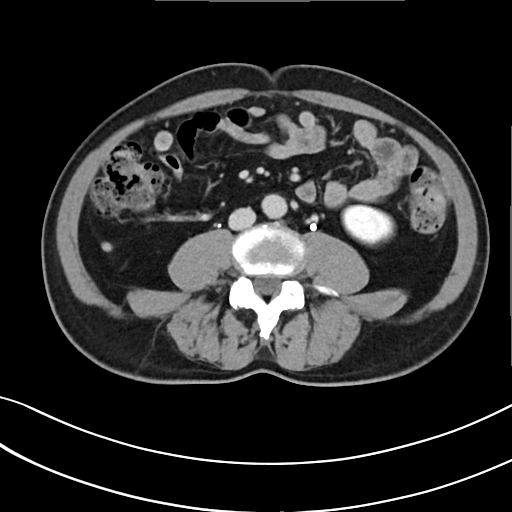
Summary: Multiphase abdominal CT, liver, delayed phase.